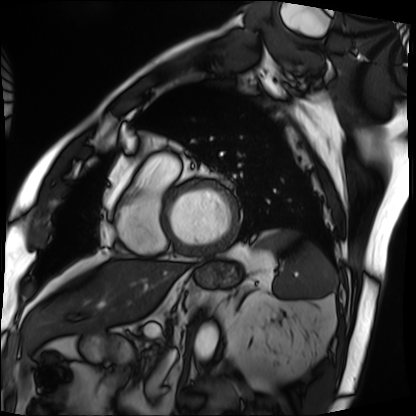
modality: cardiac MRI, subject group: patient.